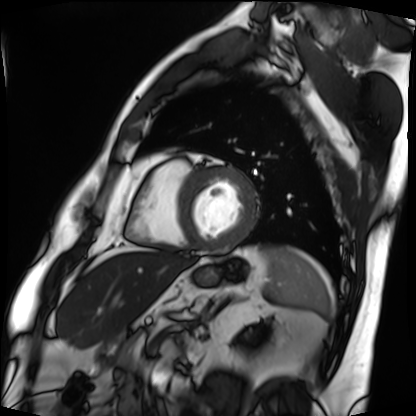
Cardiac MRI. Subject group: patient.